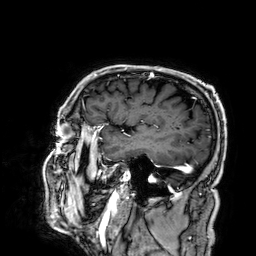
3 Tesla brain MRI. Series: 3D T1-weighted. Study: ring-enhancing brain masses.